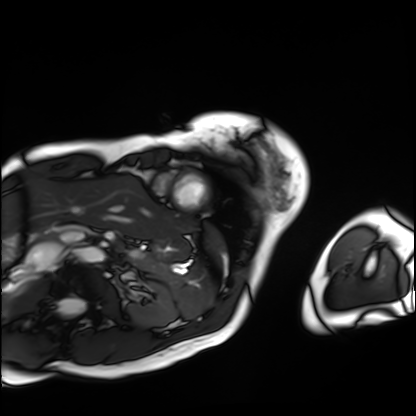
Cardiac MRI.
Subject group: patient.